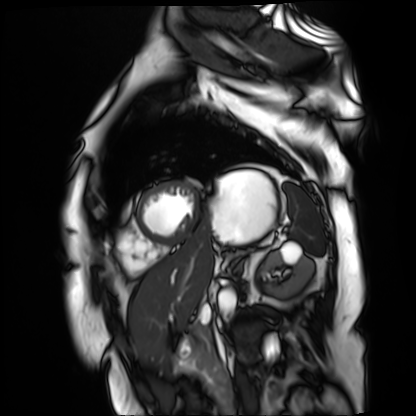
modality: cardiac MR image of the myocardium
subject cohort: cardiac patient